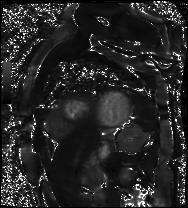
<study>
  <modality>cardiac MR image of the myocardium</modality>
  <cohort>cardiac patient</cohort>
</study>